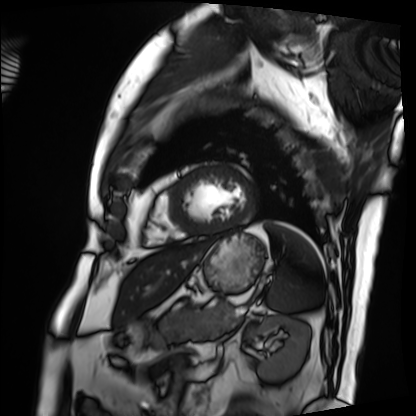
Case:
- modality: cardiac MRI
- subject group: patient